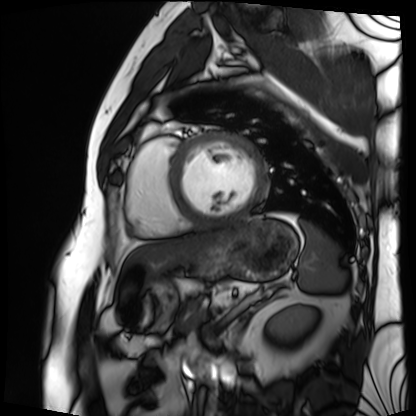
Cardiac MRI.
Subject group: patient.